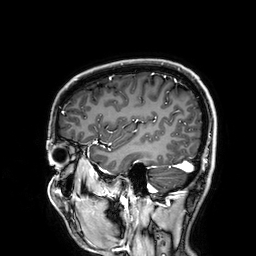
Q: What kind of scan is this?
A: 3 Tesla brain MRI.
Q: Series?
A: 3D T1-weighted.
Study: ring-enhancing brain masses.